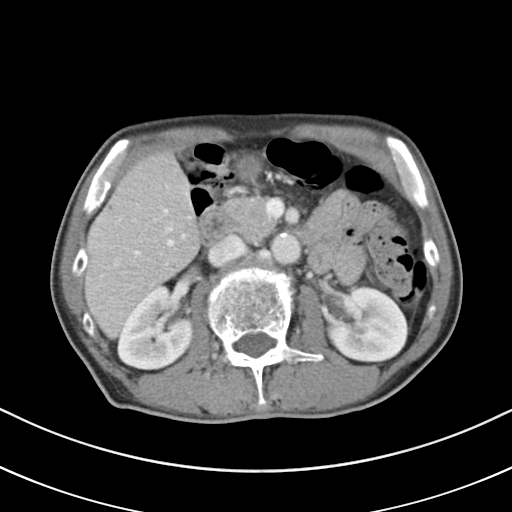
Summary:
Multiphase abdominal CT, liver, portal venous phase. Patient: male, age 69. History: cirrhosis, viral hepatitis.